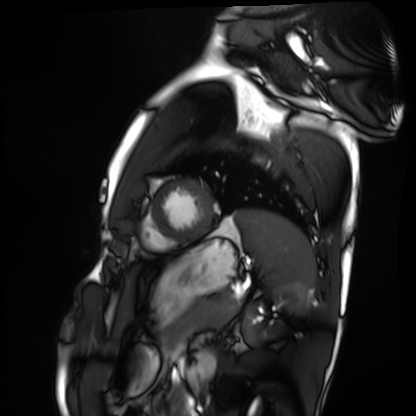
modality: cardiac MRI
cohort: healthy volunteer